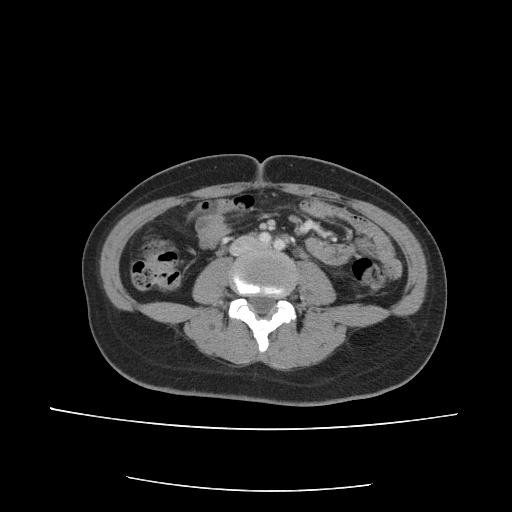
{
  "modality": {
    "type": "multiphase abdominal CT",
    "region": "liver",
    "phase": "portal venous"
  },
  "patient": {
    "sex": "female",
    "age": 34
  },
  "history": [
    "prior chemotherapy"
  ]
}